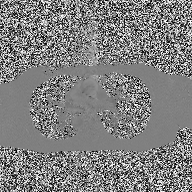
| field | value |
|---|---|
| modality | 2D phase-contrast cine MRI of the ascending aorta |